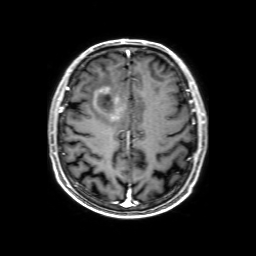
3 Tesla brain MRI. Series: 3D T1-weighted with SENSE. Study: ring-enhancing brain masses.